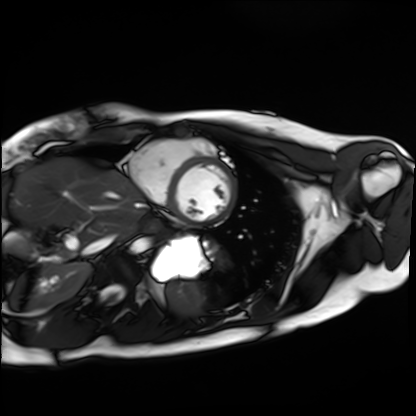
Summary:
Cardiac MRI. Subject group: healthy volunteer.